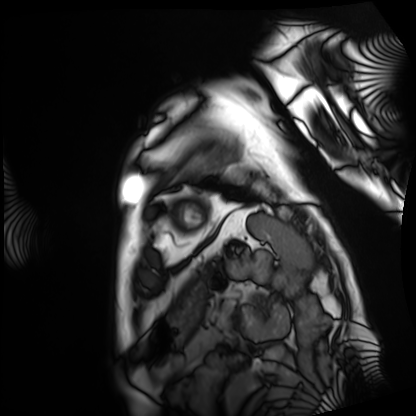
Cardiac MRI. Subject group: patient.